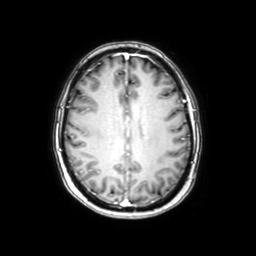
<study>
  <modality>
    <type>brain MRI</type>
    <field_strength>3T</field_strength>
  </modality>
  <series>axial with contrast</series>
  <study_topic>ring-enhancing brain masses</study_topic>
</study>